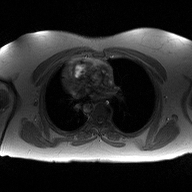
– modality: 2D phase-contrast cine MRI of the ascending aorta